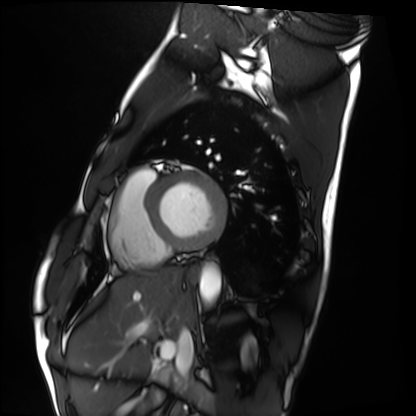
Case:
– modality · cardiac MRI
– subject group · healthy volunteer